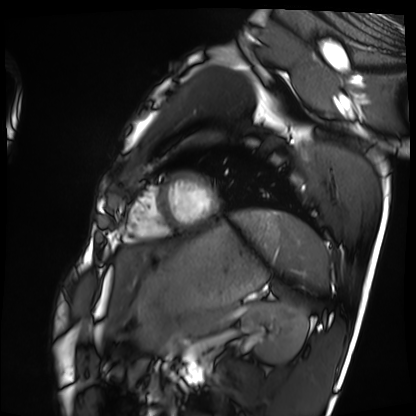
Cardiac MRI.
Subject group: healthy volunteer.